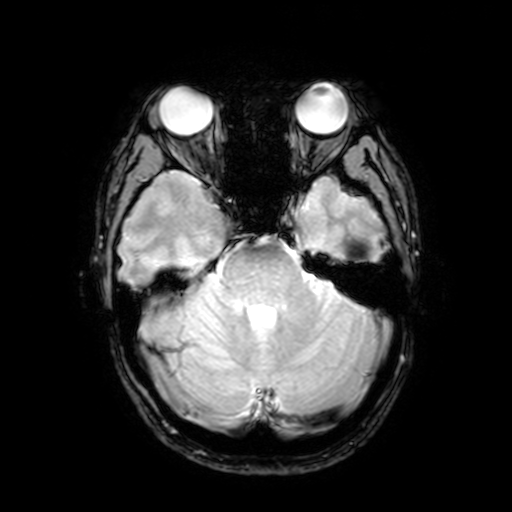
3 Tesla brain MRI. Series: T2-weighted fast field echo with SENSE. Study: ring-enhancing brain masses.